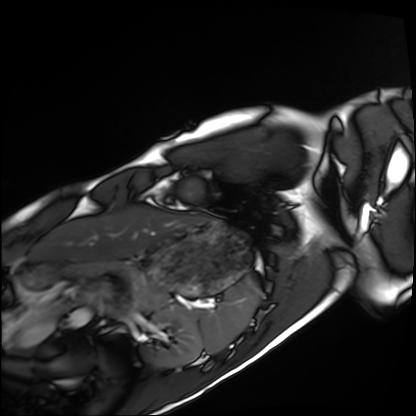
modality: cardiac MRI; subject group: healthy volunteer.